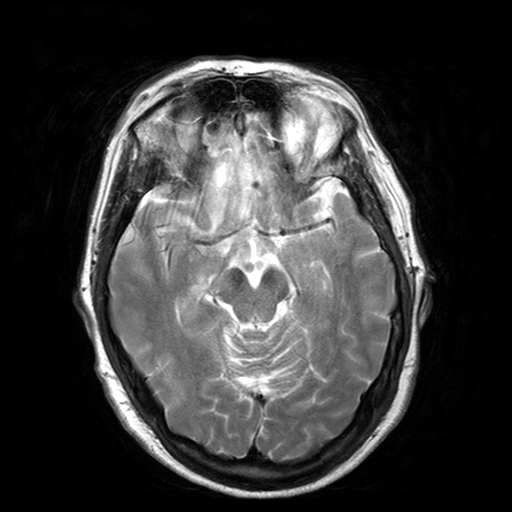
• modality · 3 Tesla brain MRI
• series · T2-weighted turbo spin echo with SENSE
• study · ring-enhancing brain masses